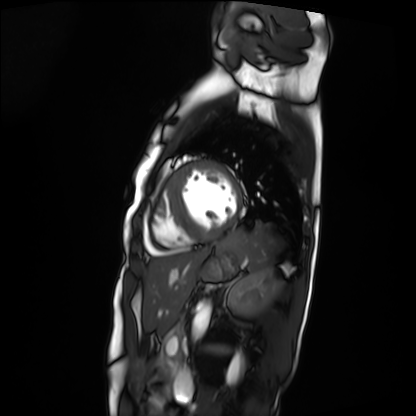
{
  "modality": "cardiac MRI",
  "cohort": "patient"
}